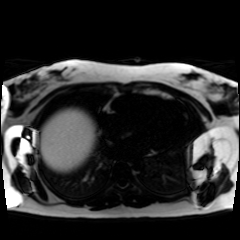
modality = chemical-shift-encoded cardiac MRI